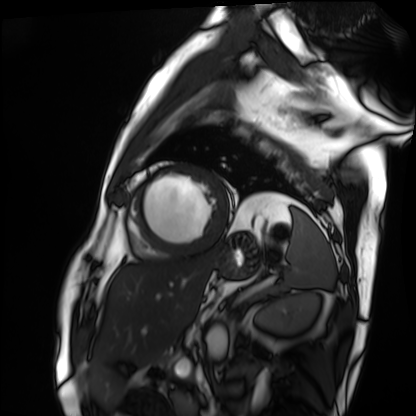
Q: What kind of scan is this?
A: Cardiac MRI.
Subject group: patient.